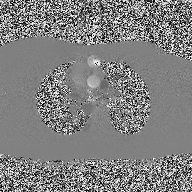
Summary:
2D phase-contrast cine MRI of the ascending aorta, high-resolution GRAPPA acquisition.